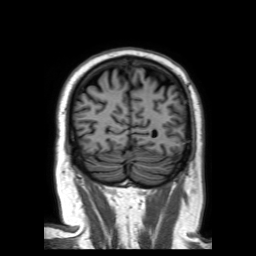
Q: What kind of scan is this?
A: 3 Tesla brain MRI.
Q: Series?
A: 3D T1-weighted TFE with SENSE.
Study: ring-enhancing brain masses.